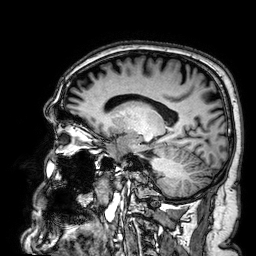
<case>
  <modality>
    <type>brain MRI</type>
    <field_strength>3T</field_strength>
  </modality>
  <series>3D T1-weighted</series>
  <study_topic>ring-enhancing brain masses</study_topic>
</case>